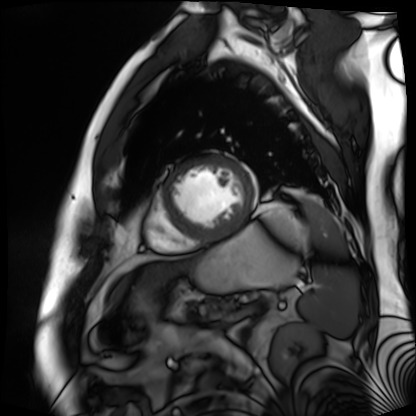
modality: cardiac MR image of the myocardium; subject cohort: cardiac patient.